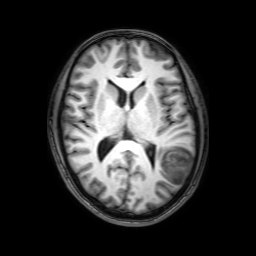
modality:
  type: brain MRI
  field_strength: 3T
series: 3D T1-weighted with SENSE
study_topic: ring-enhancing brain masses